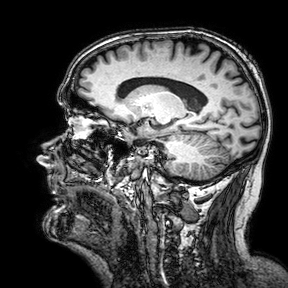
3 Tesla brain MRI. Series: 3D T1-weighted turbo field echo with SENSE. Study: ring-enhancing brain masses.